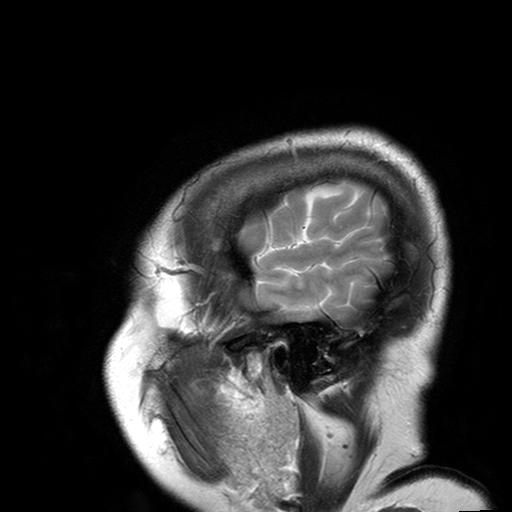
{"modality": {"type": "brain MRI", "field_strength": "3T"}, "series": "T2-weighted turbo spin echo with SENSE", "study_topic": "ring-enhancing brain masses"}